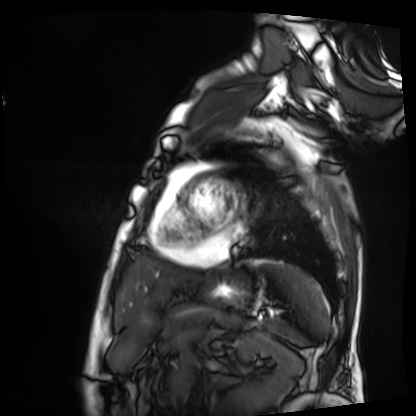
Summary:
Cardiac MRI. Subject group: patient.